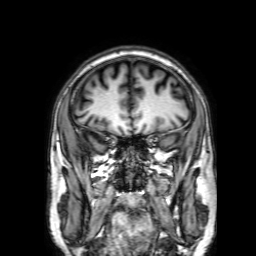
Summary:
3 Tesla brain MRI. Series: 3D T1-weighted with SENSE. Study: ring-enhancing brain masses.